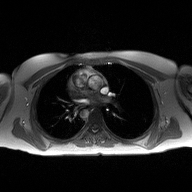
modality = 2D phase-contrast cine MRI of the ascending aorta.